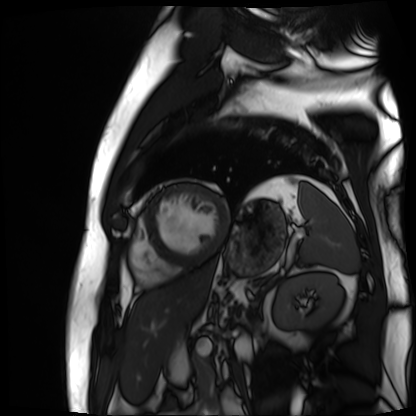
Cardiac MR image of the myocardium. Subject cohort: cardiac patient.